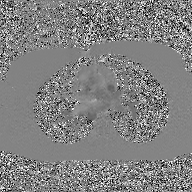
2D phase-contrast cine MRI of the ascending aorta, GAN super-resolution reconstruction.